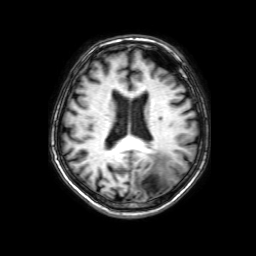
Summary: 3 Tesla brain MRI. Study: ring-enhancing brain masses.